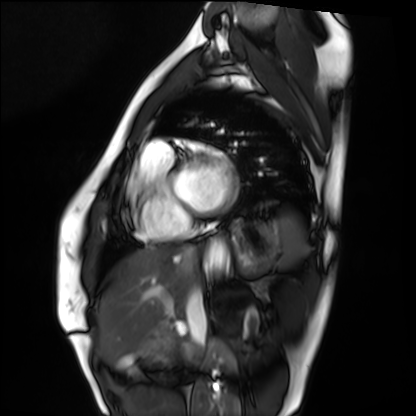
{"modality": "cardiac MRI", "cohort": "healthy volunteer"}